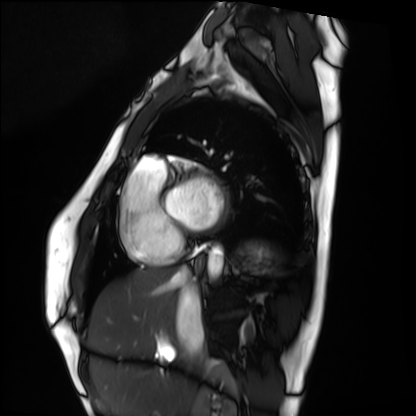
Summary:
Cardiac MRI. Subject group: healthy volunteer.